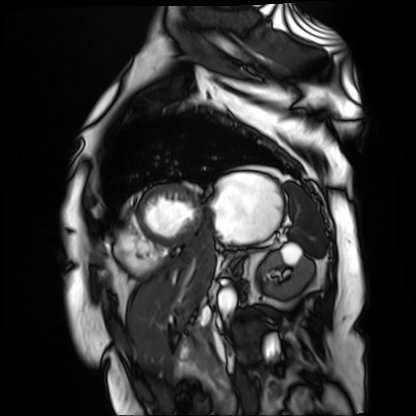
modality=cardiac MR image of the myocardium
subject cohort=cardiac patient